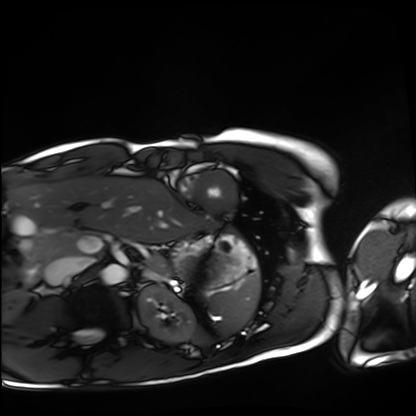
Cardiac MRI. Subject group: healthy volunteer.